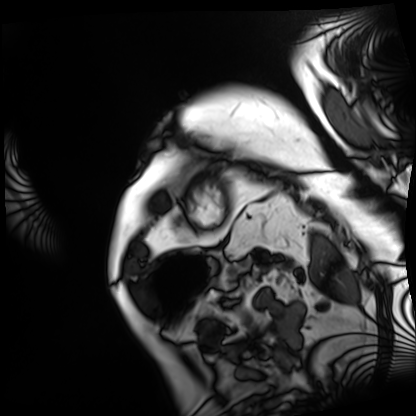
Cardiac MRI.
Subject group: patient.